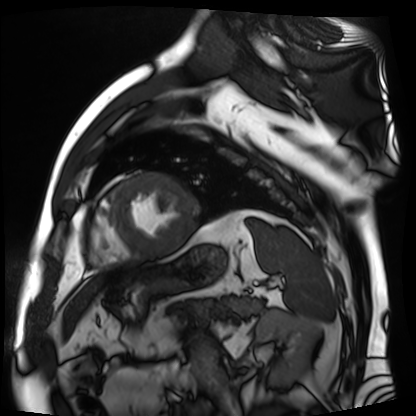
Summary:
Cardiac MR image of the myocardium. Subject cohort: cardiac patient.